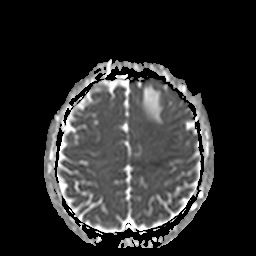
3 Tesla brain MRI.
Series: apparent diffusion coefficient (ADC) map.
Study: ring-enhancing brain masses.